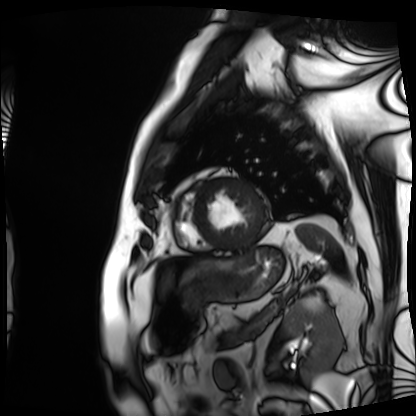
modality: cardiac MRI
cohort: patient